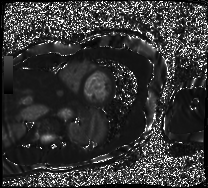
Clinical context:
Cardiac MRI. Subject group: patient.